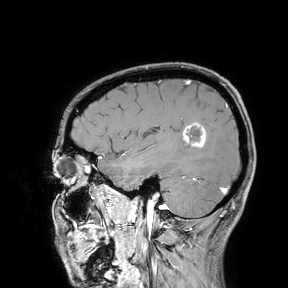
3 Tesla brain MRI.
Study: ring-enhancing brain masses.